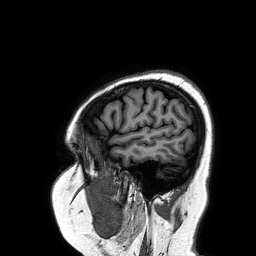
  modality:
    type: brain MRI
    field_strength: 3T
  series: 3D T1-weighted turbo field echo
  study_topic: ring-enhancing brain masses